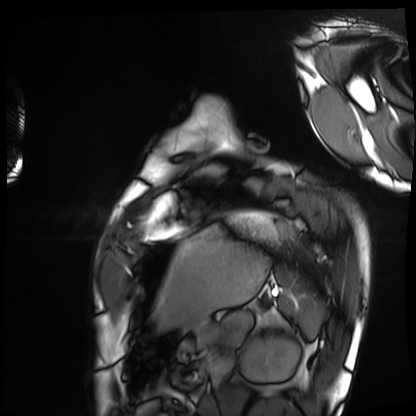
modality — cardiac MRI
subject group — healthy volunteer